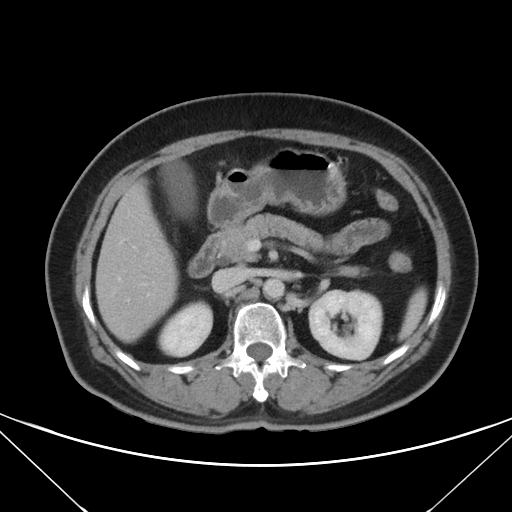
Multiphase abdominal CT, liver, portal venous phase. Patient: female, age 60. History: prior chemotherapy.